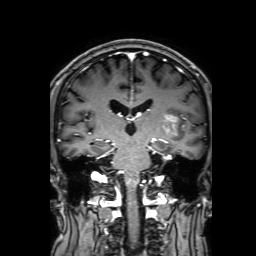
modality:
  type: brain MRI
  field_strength: 3T
series: 3D T1-weighted with SENSE
study_topic: ring-enhancing brain masses